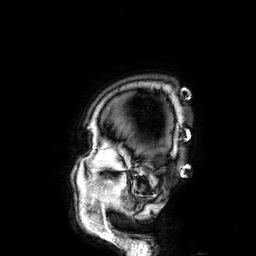
3 Tesla brain MRI.
Series: 3D T1-weighted.
Study: ring-enhancing brain masses.